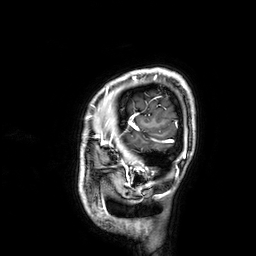
modality = 3 Tesla brain MRI
series = 3D T1-weighted
study = ring-enhancing brain masses